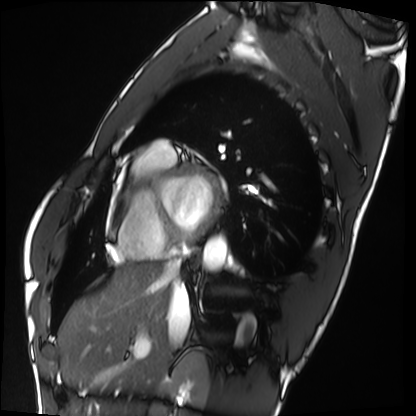
modality: cardiac MRI, subject group: healthy volunteer.